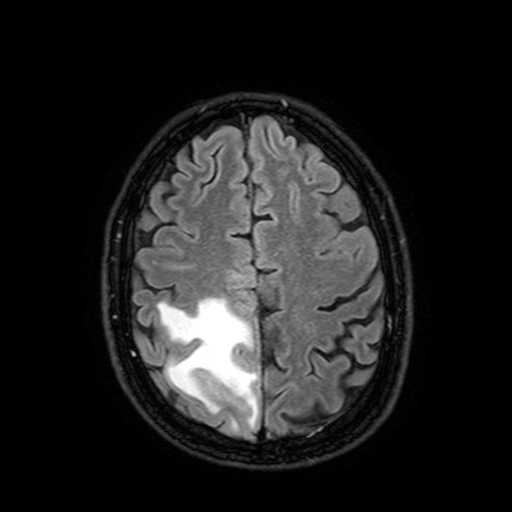
Case summary: 3 Tesla brain MRI. Series: FLAIR with SPAIR, 3 mm. Study: ring-enhancing brain masses.